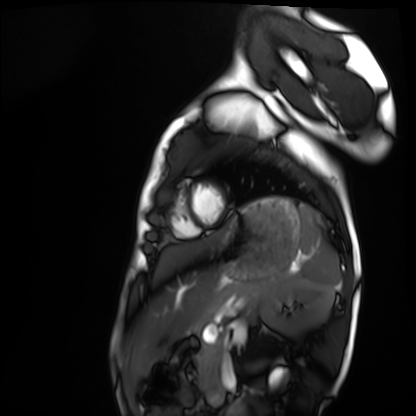
Summary: Cardiac MRI. Subject group: healthy volunteer.